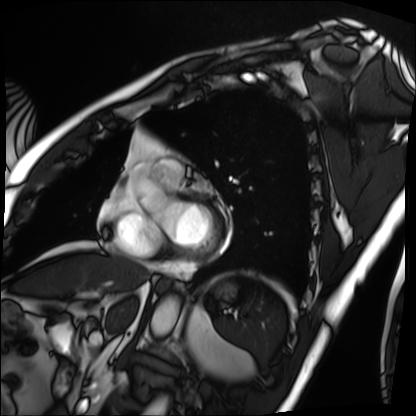
Cardiac MRI. Subject group: patient.